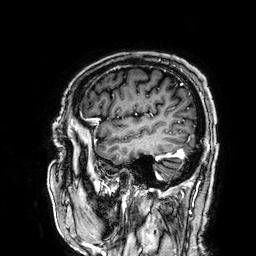
Summary:
3 Tesla brain MRI. Series: 3D T1-weighted. Study: ring-enhancing brain masses.